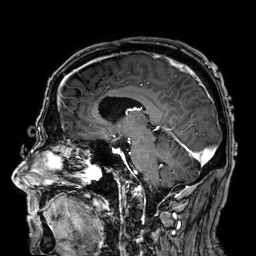
3 Tesla brain MRI.
Series: 3D T1-weighted.
Study: ring-enhancing brain masses.